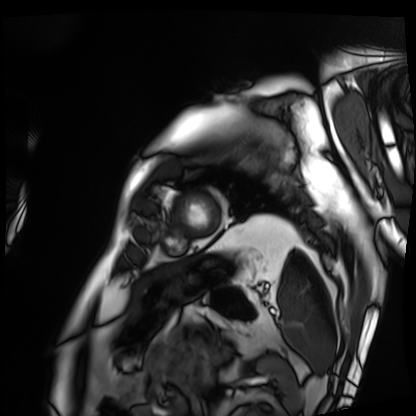
Summary: Cardiac MRI. Subject group: patient.